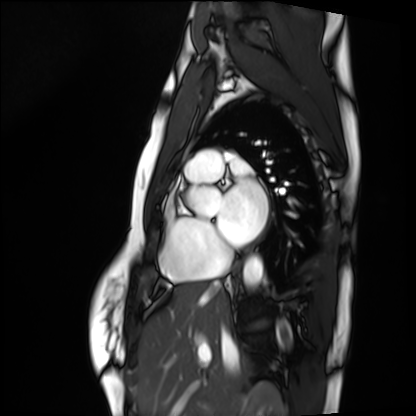
Summary: Cardiac MRI. Subject group: healthy volunteer.